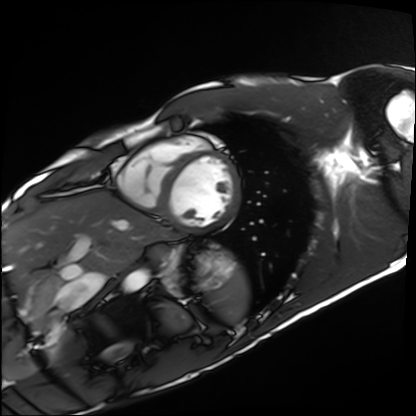
Summary:
Cardiac MRI. Subject group: healthy volunteer.